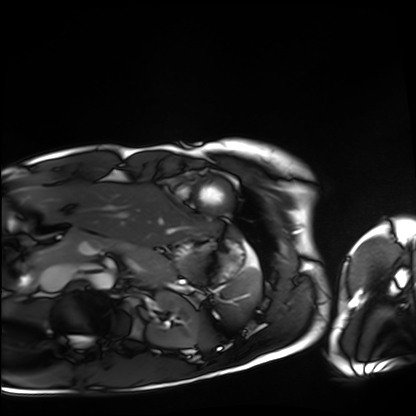
modality = cardiac MRI
subject group = healthy volunteer